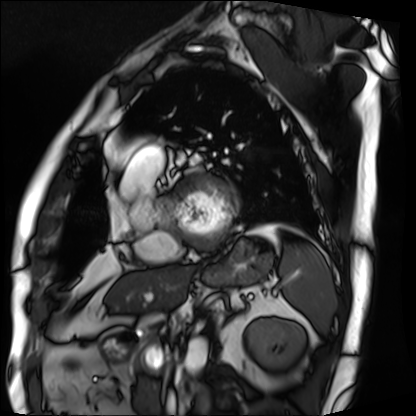
{
  "modality": "cardiac MRI",
  "cohort": "patient"
}